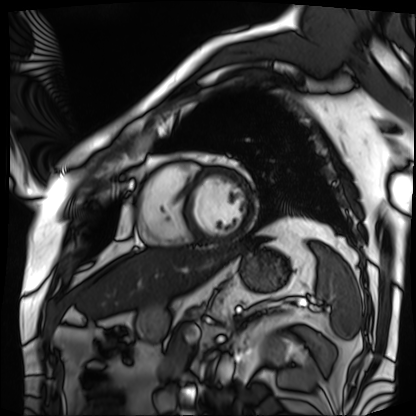
| field | value |
|---|---|
| modality | cardiac MRI |
| subject group | patient |